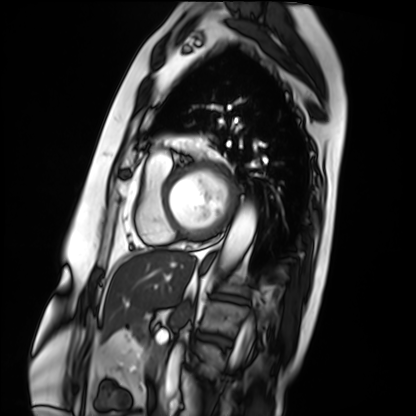
• modality · cardiac MRI
• subject group · patient